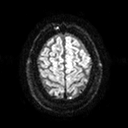
3 Tesla brain MRI. Series: diffusion tensor imaging (medium iso). Study: ring-enhancing brain masses.